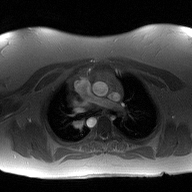
Clinical context: 2D phase-contrast cine MRI of the ascending aorta, high-resolution GRAPPA acquisition.